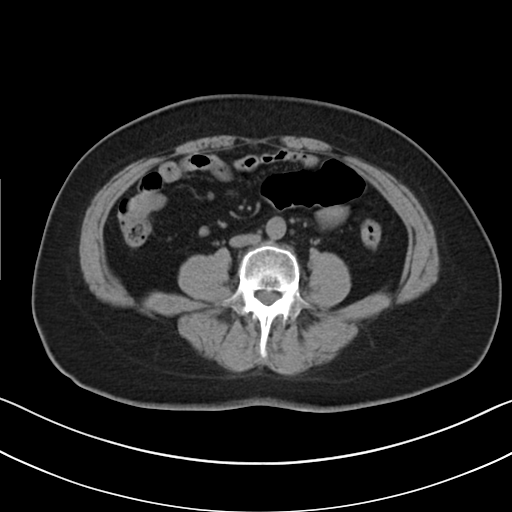
- modality: multiphase abdominal CT, liver, non-contrast phase
- patient: female, age 57
- history: viral hepatitis